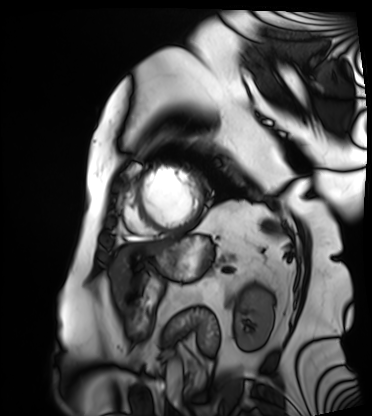
modality: cardiac MRI | subject group: patient.